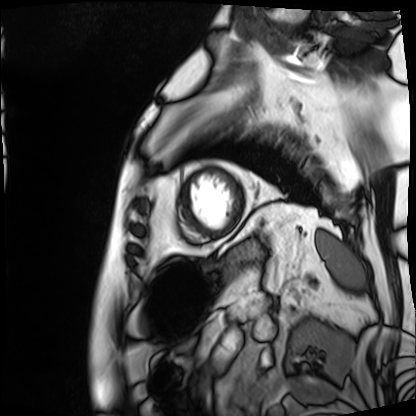
modality=cardiac MRI
subject group=patient